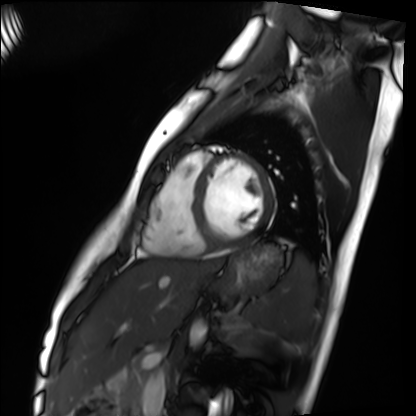
* modality — cardiac MRI
* subject group — healthy volunteer